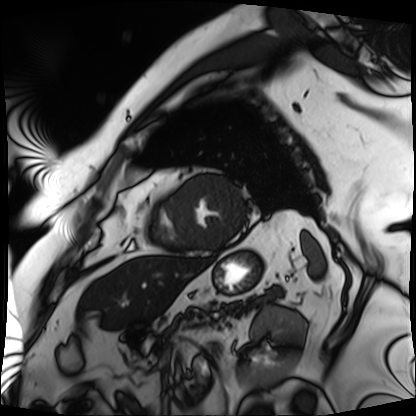
modality = cardiac MRI, subject group = patient.